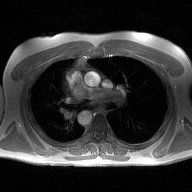
modality = 2D phase-contrast cine MRI of the ascending aorta.